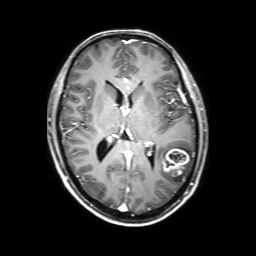
Summary:
3 Tesla brain MRI. Series: 3D T1-weighted with SENSE. Study: ring-enhancing brain masses.